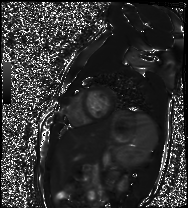
• modality: cardiac MR image of the myocardium
• subject cohort: healthy volunteer